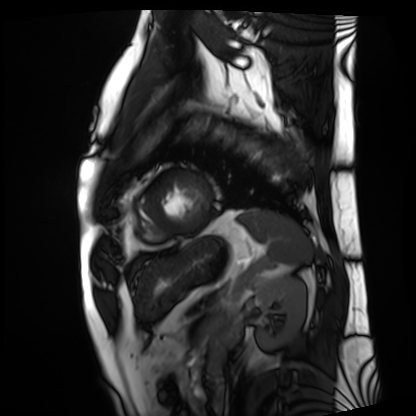
Case:
- modality · cardiac MRI
- subject group · patient